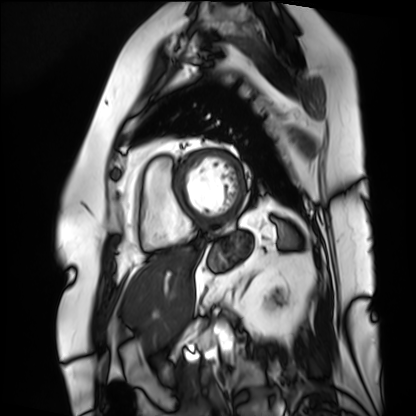
{
  "modality": "cardiac MRI",
  "cohort": "patient"
}